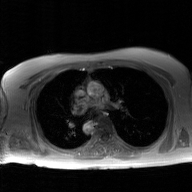
Summary: 2D phase-contrast cine MRI of the ascending aorta, GAN super-resolution reconstruction.